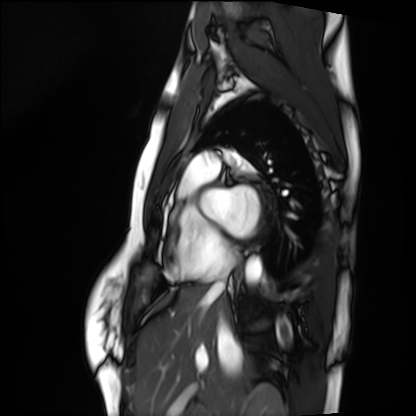
Clinical context:
Cardiac MRI. Subject group: healthy volunteer.